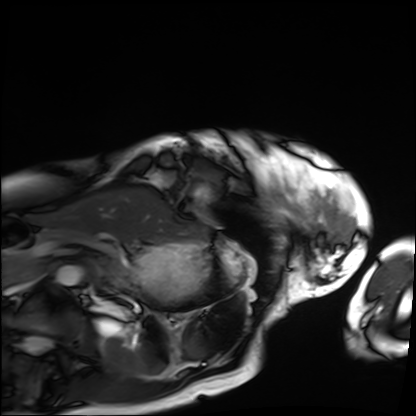
modality: cardiac MRI
subject group: patient